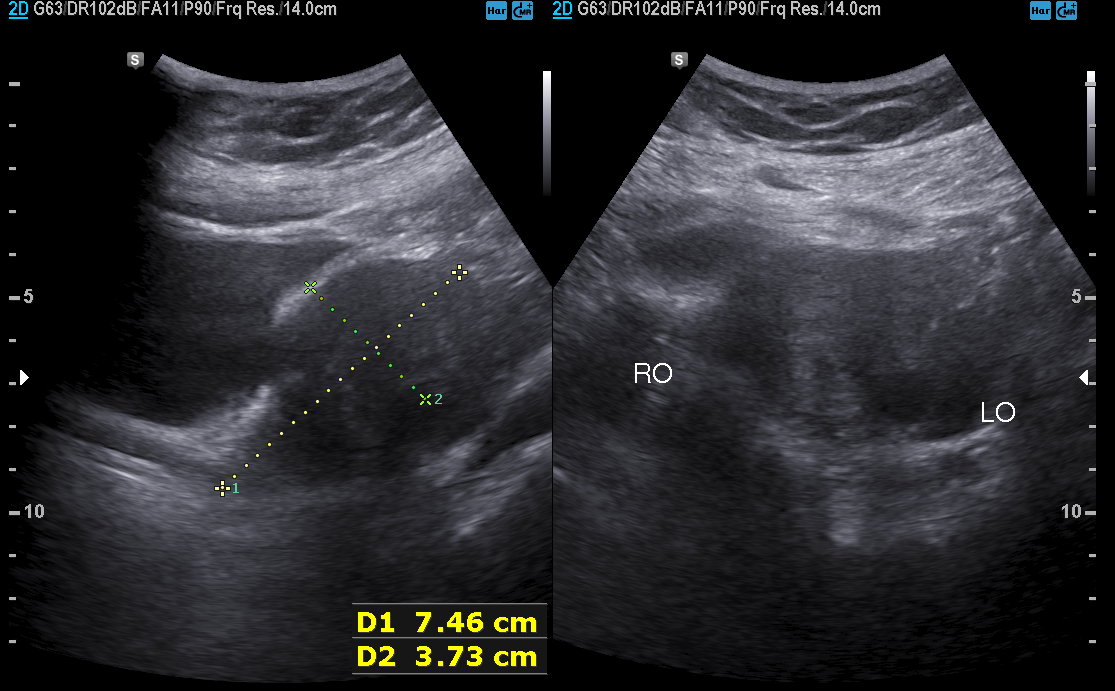
<record>
  <modality>
    <type>genitourinary ultrasound</type>
  </modality>
</record>